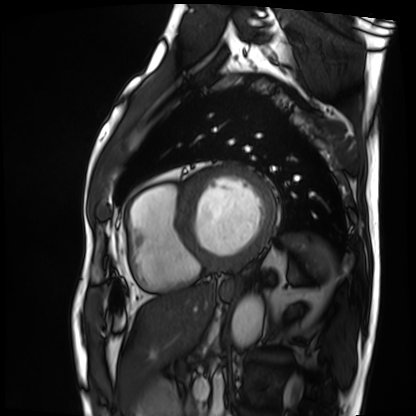
Cardiac MRI.
Subject group: patient.